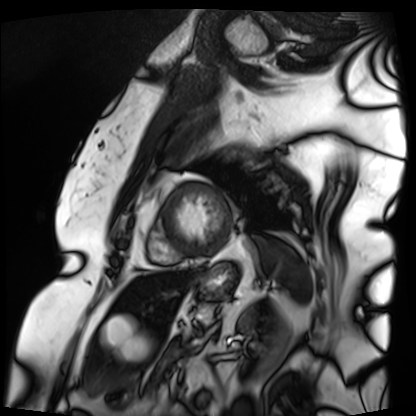
modality = cardiac MRI
subject group = patient